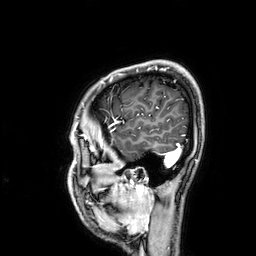
Clinical context: 3 Tesla brain MRI. Series: 3D T1-weighted. Study: ring-enhancing brain masses.